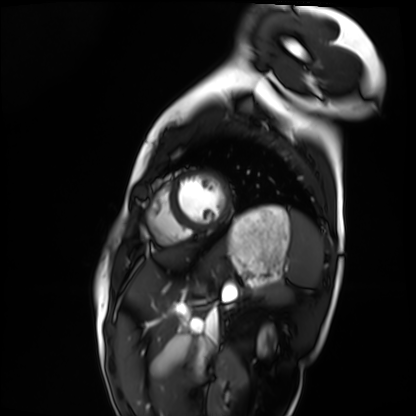
– modality — cardiac MRI
– subject group — healthy volunteer